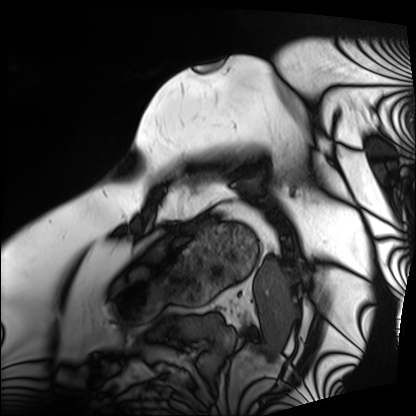
{
  "modality": "cardiac MRI",
  "cohort": "patient"
}